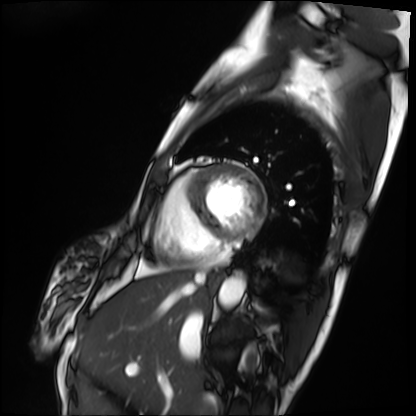
Summary: Cardiac MRI. Subject group: patient.